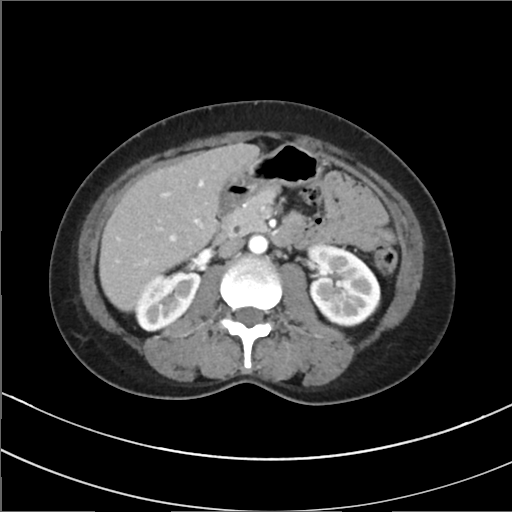
- modality: multiphase abdominal CT, liver, arterial phase
- patient: female, age 41